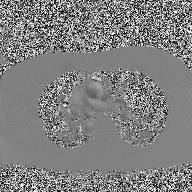
2D phase-contrast cine MRI of the ascending aorta, high-resolution GRAPPA acquisition.